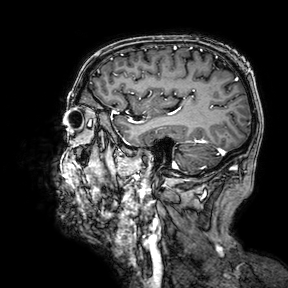
Case summary:
3 Tesla brain MRI. Series: 3D T1-weighted turbo field echo with SENSE. Study: ring-enhancing brain masses.